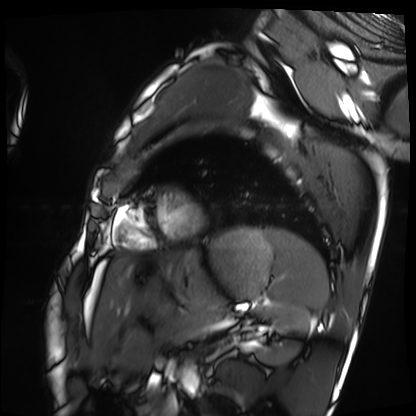
modality=cardiac MRI | subject group=healthy volunteer.